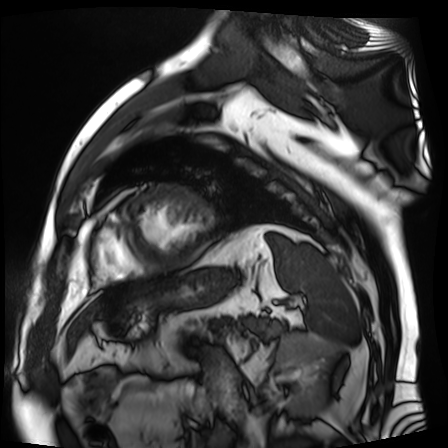
– modality: cardiac MR image of the myocardium
– subject cohort: cardiac patient